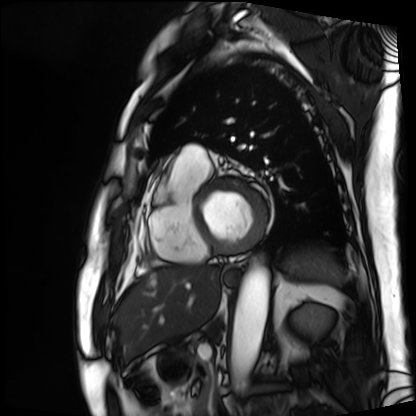
Cardiac MRI.
Subject group: patient.